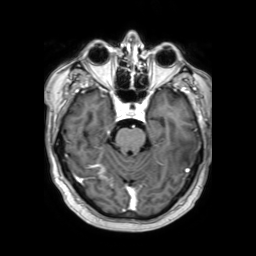
3 Tesla brain MRI. Series: 3D T1-weighted TFE with SENSE. Study: ring-enhancing brain masses.